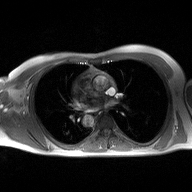
Clinical context: 2D phase-contrast cine MRI of the ascending aorta, high-resolution GRAPPA acquisition.